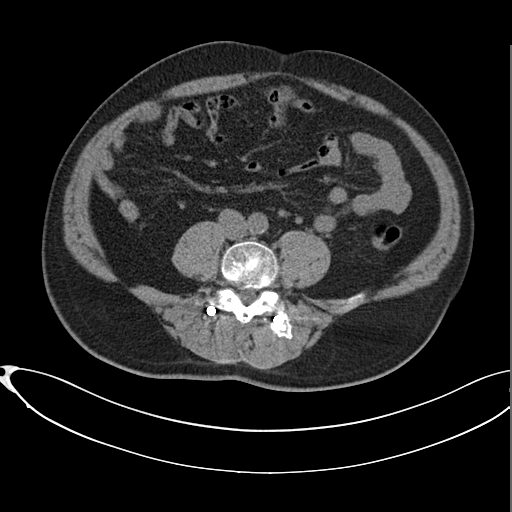
modality: multiphase abdominal CT, liver, non-contrast phase | patient: male, age 58.